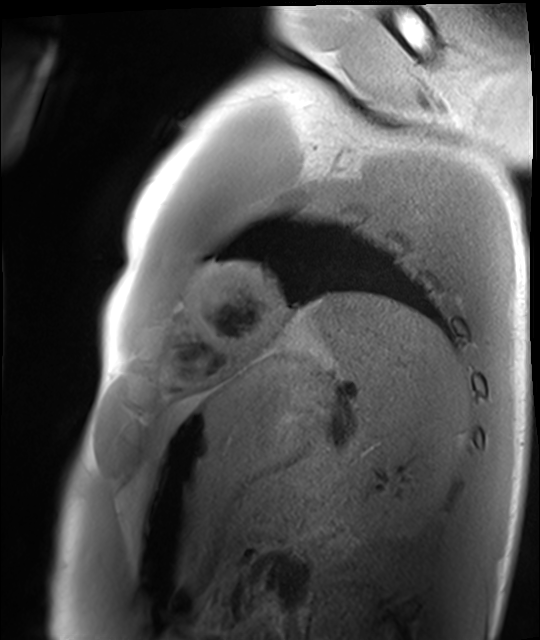
Cardiac MRI. Subject group: healthy volunteer.